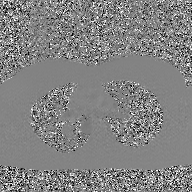
{"modality": {"type": "2D phase-contrast cine MRI", "region": "ascending aorta", "reconstruction": "GAN super-resolution reconstruction"}}